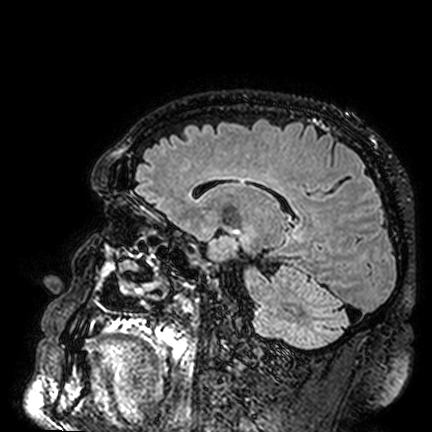
Q: What kind of scan is this?
A: 3 Tesla brain MRI.
Q: Series?
A: FLAIR VISTA.
Study: ring-enhancing brain masses.